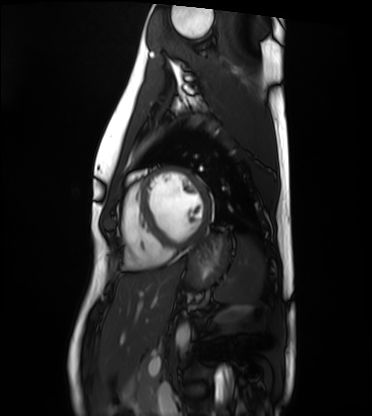
modality: cardiac MRI
subject group: healthy volunteer